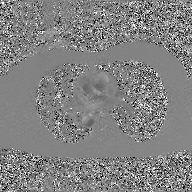
Summary:
2D phase-contrast cine MRI of the ascending aorta, GAN super-resolution reconstruction.